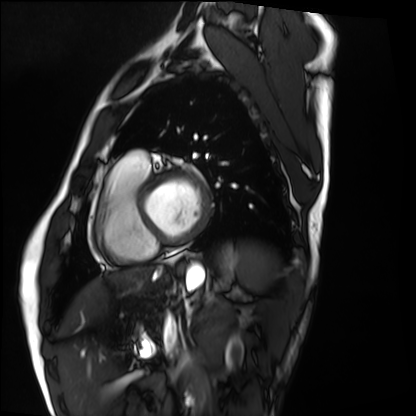
modality = cardiac MRI; subject group = healthy volunteer.